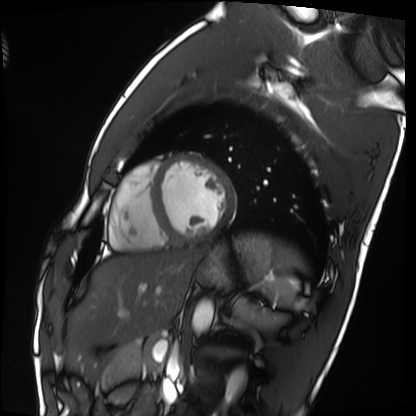
Cardiac MRI.
Subject group: healthy volunteer.